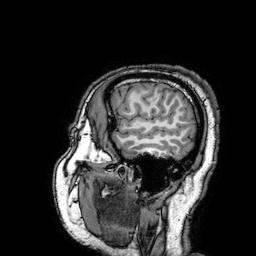
3 Tesla brain MRI. Series: 3D T1-weighted turbo field echo with SENSE. Study: ring-enhancing brain masses.